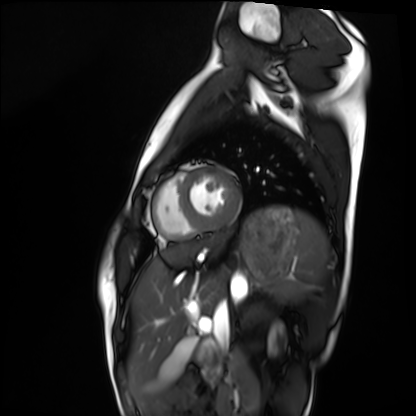
Summary:
Cardiac MRI. Subject group: healthy volunteer.